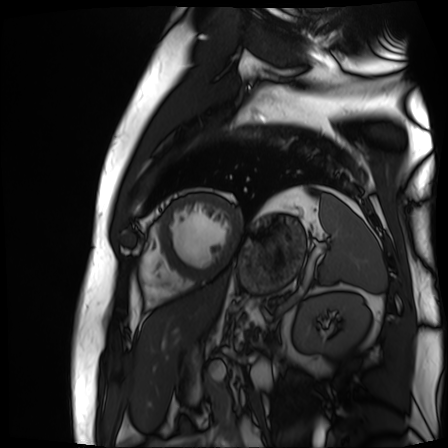
| field | value |
|---|---|
| modality | cardiac MR image of the myocardium |
| subject cohort | cardiac patient |